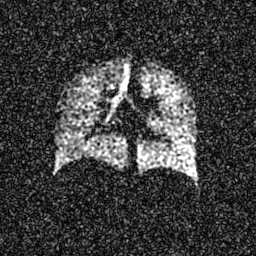
Summary: Hyperpolarized 129Xe ventilation MRI of the lungs. SNR level 6 of 8 (the deposit holds this scan as its native image and as seven SNR-degraded versions).